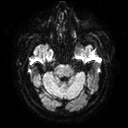
Summary: 3 Tesla brain MRI. Series: diffusion tensor imaging (medium iso). Study: ring-enhancing brain masses.